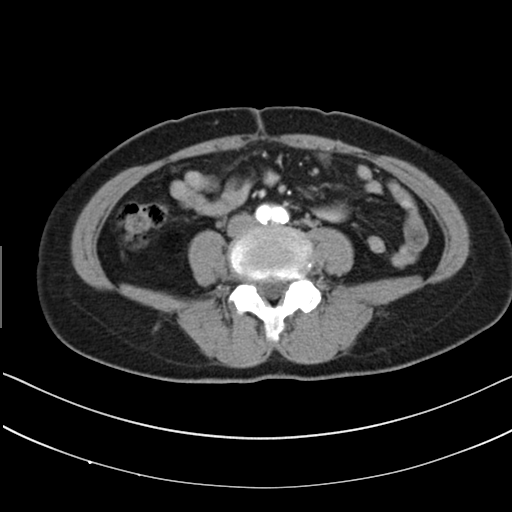
Multiphase abdominal CT, liver, arterial phase.
Patient: female, age 57.
History: prior chemotherapy.